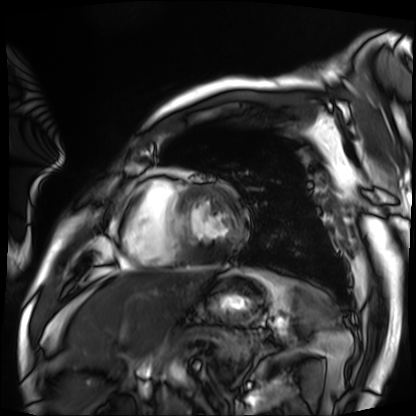
Case summary: Cardiac MRI. Subject group: patient.